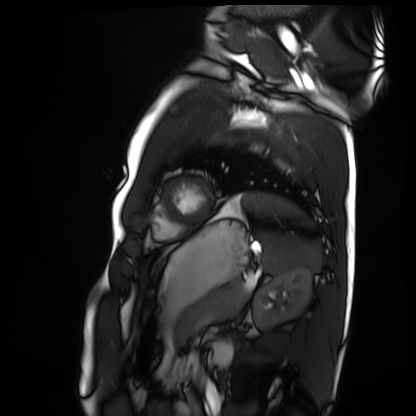
Q: What kind of scan is this?
A: Cardiac MRI.
Subject group: healthy volunteer.